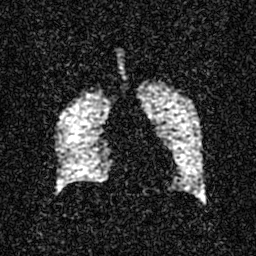
Summary: Hyperpolarized 129Xe ventilation MRI of the lungs. SNR level 3 of 8 (the deposit holds this scan as its native image and as seven SNR-degraded versions).